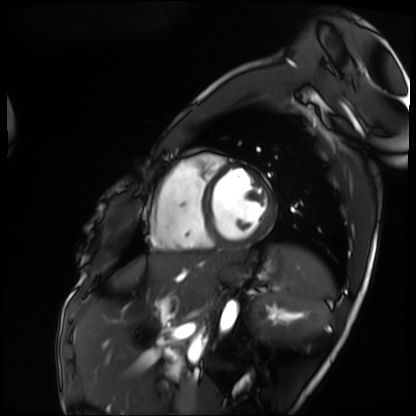
modality — cardiac MRI; subject group — patient.